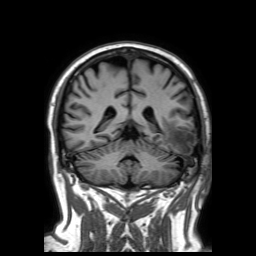
Q: What kind of scan is this?
A: 3 Tesla brain MRI.
Q: Series?
A: 3D T1-weighted TFE with SENSE.
Study: ring-enhancing brain masses.